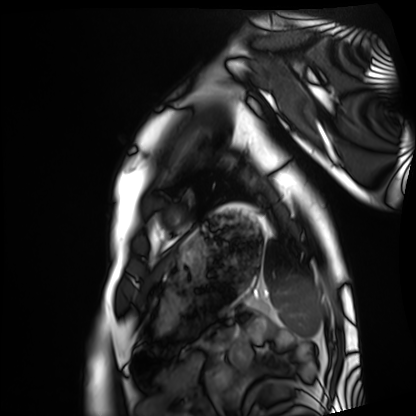
{"modality": "cardiac MRI", "cohort": "healthy volunteer"}